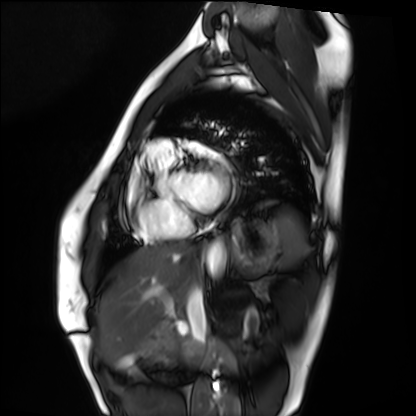
  modality: cardiac MRI
  cohort: healthy volunteer